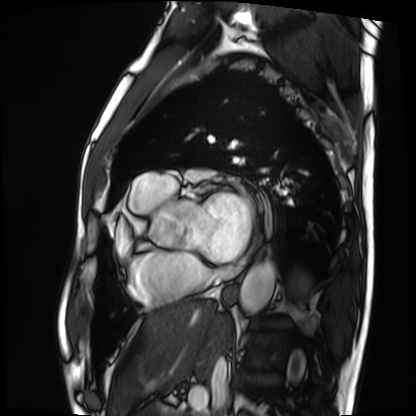
Cardiac MRI. Subject group: patient.